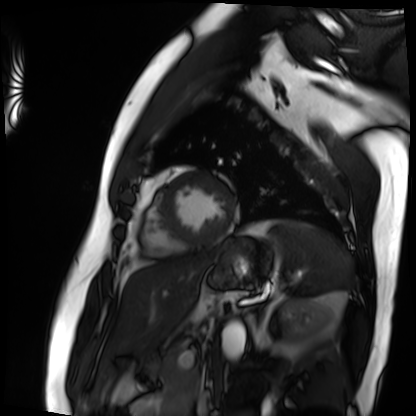
modality: cardiac MRI
cohort: patient